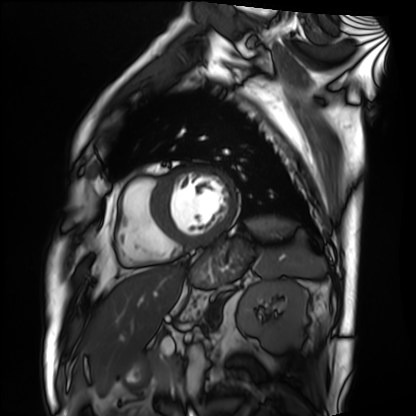
Cardiac MRI.
Subject group: patient.